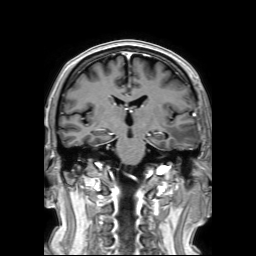
3 Tesla brain MRI. Series: 3D T1-weighted TFE with SENSE. Study: ring-enhancing brain masses.